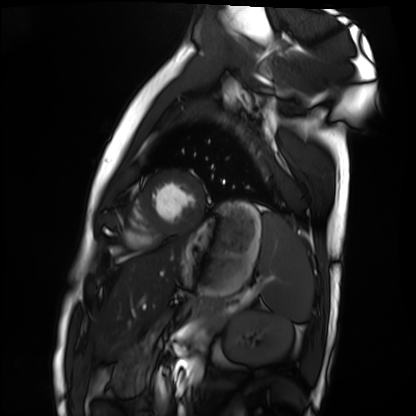
Cardiac MRI.
Subject group: healthy volunteer.